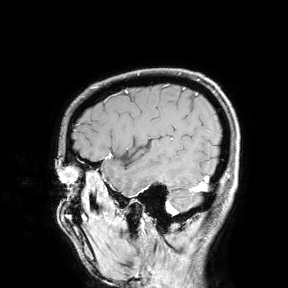
Case:
* modality — 3 Tesla brain MRI
* study — ring-enhancing brain masses